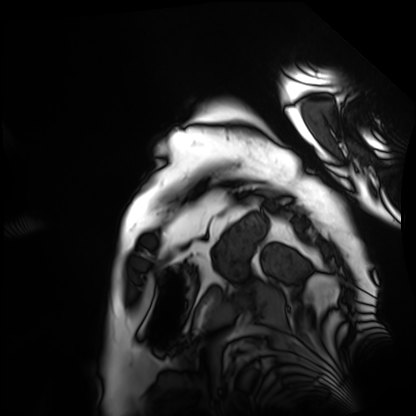
Cardiac MRI.
Subject group: patient.